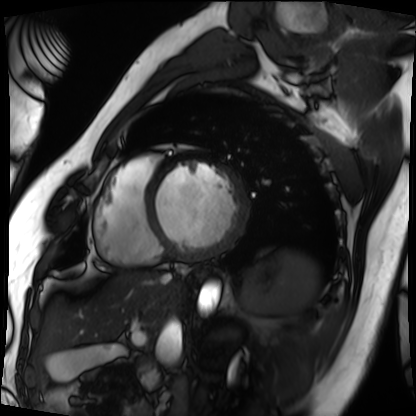
- modality — cardiac MRI
- subject group — patient